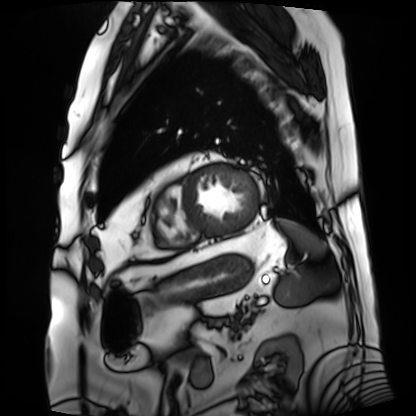
{"modality": "cardiac MRI", "cohort": "patient"}